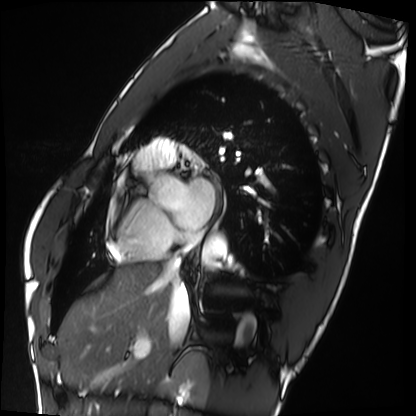
Case summary:
Cardiac MRI. Subject group: healthy volunteer.